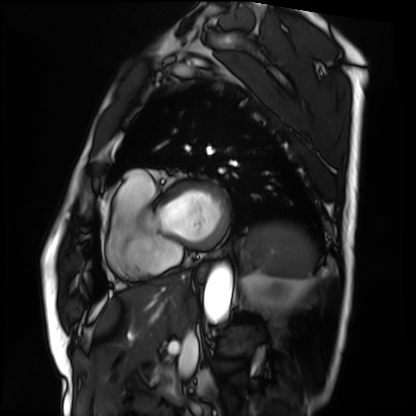
Cardiac MRI. Subject group: patient.